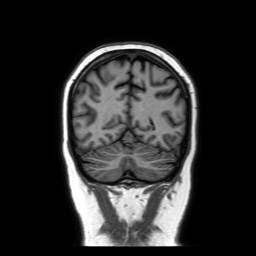
3 Tesla brain MRI. Series: coronal without contrast. Study: ring-enhancing brain masses.